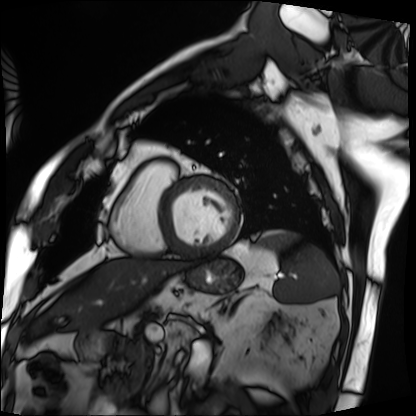
Cardiac MRI.
Subject group: patient.